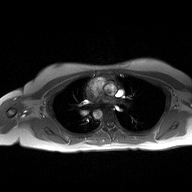
Q: What kind of scan is this?
A: 2D phase-contrast cine MRI of the ascending aorta.